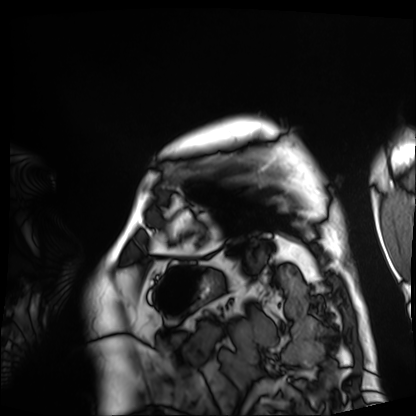
modality — cardiac MRI
subject group — patient